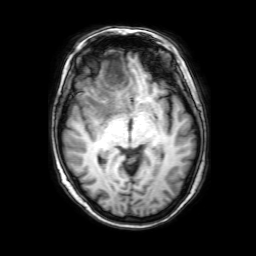
modality: 3 Tesla brain MRI; series: 3D T1-weighted with SENSE; study: ring-enhancing brain masses.